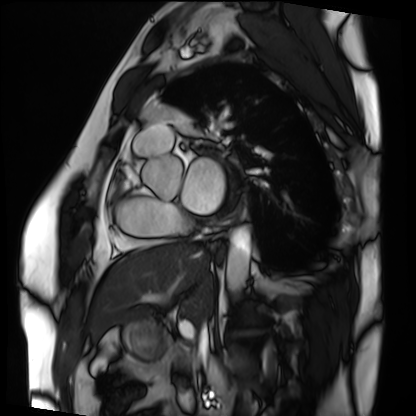
– modality — cardiac MRI
– subject group — patient